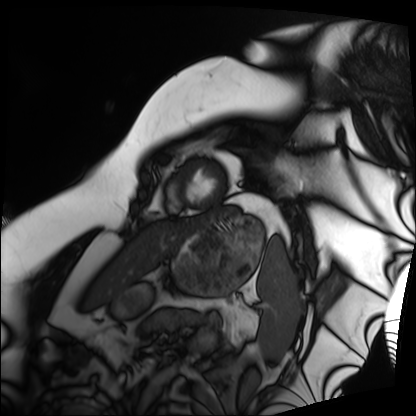
{
  "modality": "cardiac MRI",
  "cohort": "patient"
}